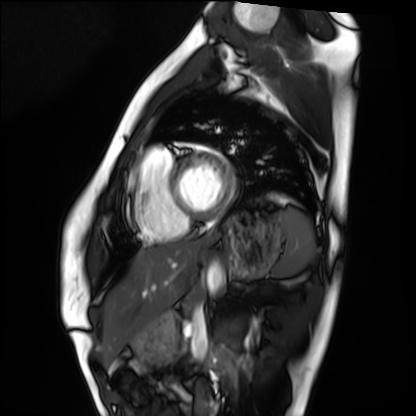
  modality: cardiac MRI
  cohort: healthy volunteer